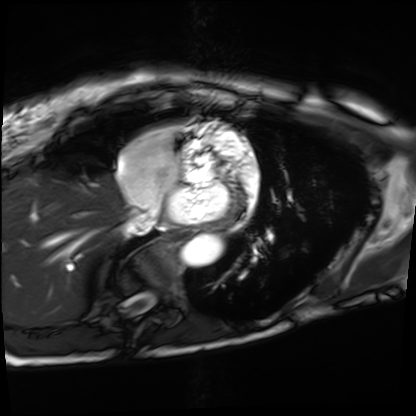
Cardiac MRI.
Subject group: patient.